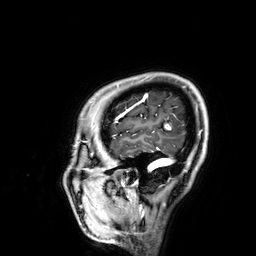
Q: What kind of scan is this?
A: 3 Tesla brain MRI.
Q: Series?
A: 3D T1-weighted.
Study: ring-enhancing brain masses.